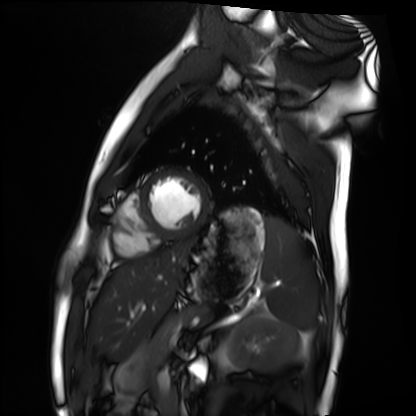
Clinical context:
Cardiac MRI. Subject group: healthy volunteer.